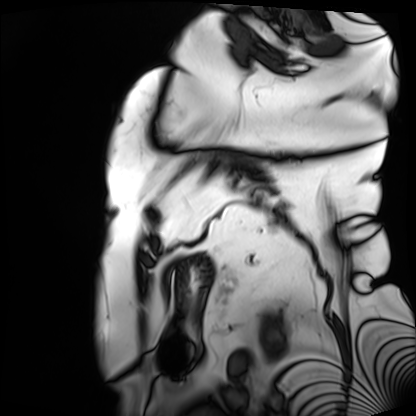
Cardiac MRI.
Subject group: patient.